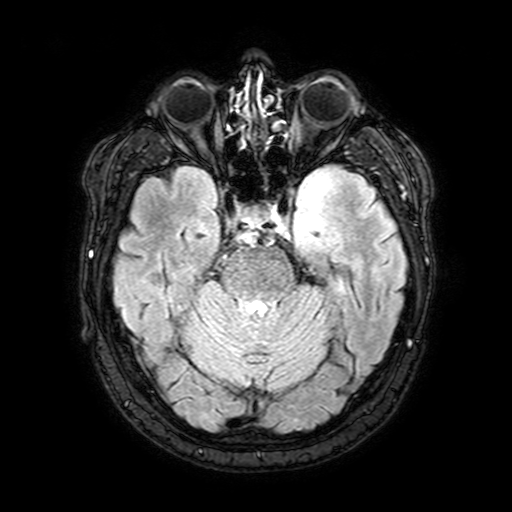
3 Tesla brain MRI.
Series: FLAIR with SPAIR, 3 mm.
Study: ring-enhancing brain masses.